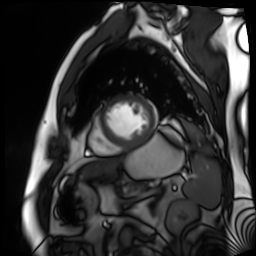
Summary: Cardiac MR image of the myocardium. Subject cohort: cardiac patient.